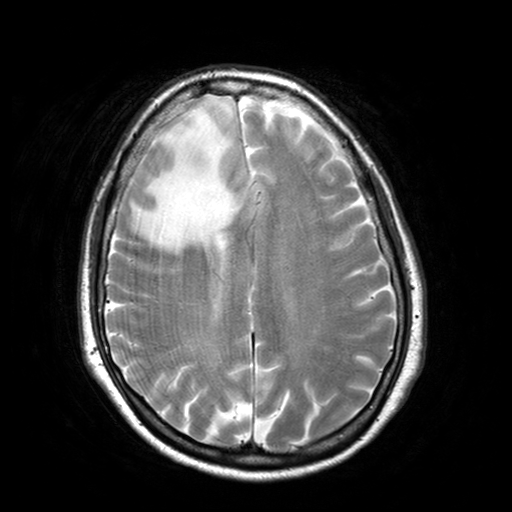
| field | value |
|---|---|
| modality | 3 Tesla brain MRI |
| series | T2-weighted turbo spin echo with SENSE |
| study | ring-enhancing brain masses |